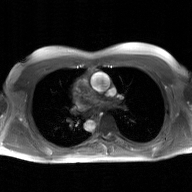
2D phase-contrast cine MRI of the ascending aorta, GAN super-resolution reconstruction.